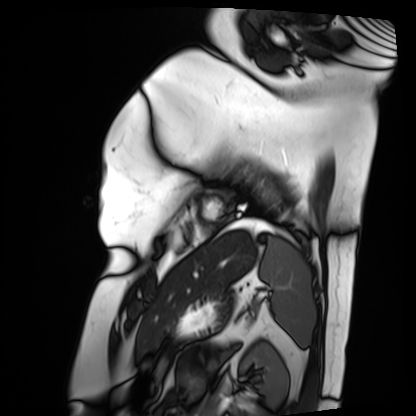
Case:
* modality: cardiac MRI
* subject group: patient